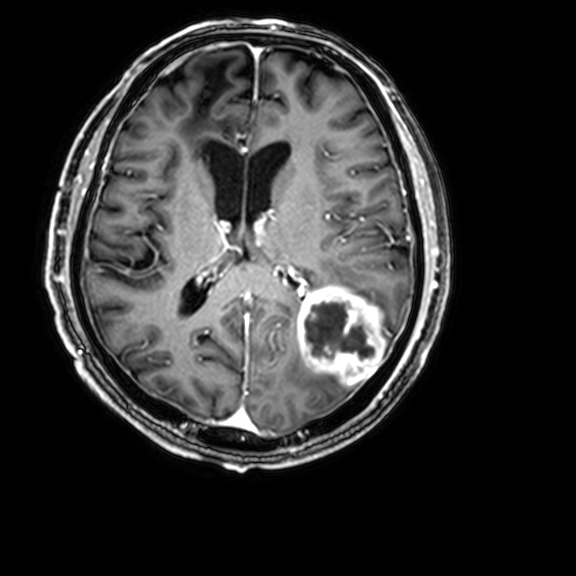
Summary:
3 Tesla brain MRI. Series: 3D T1-weighted with CLEAR. Study: ring-enhancing brain masses.